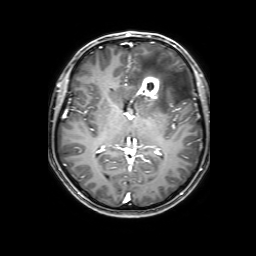
Summary:
3 Tesla brain MRI. Series: 3D T1-weighted with SENSE. Study: ring-enhancing brain masses.